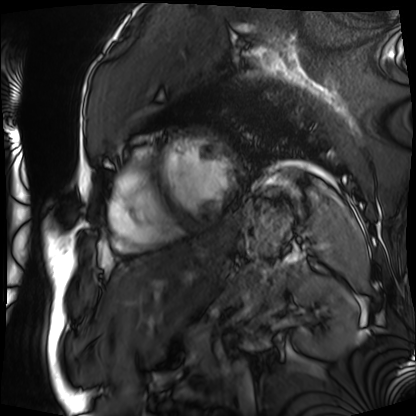
Summary: Cardiac MRI. Subject group: patient.